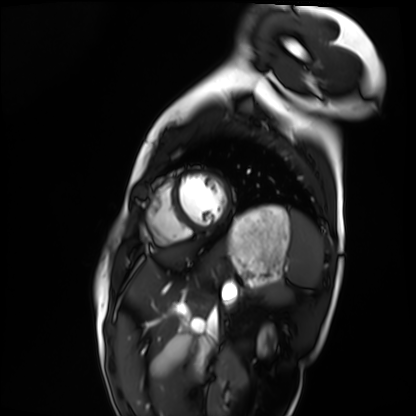
Case summary: Cardiac MRI. Subject group: healthy volunteer.